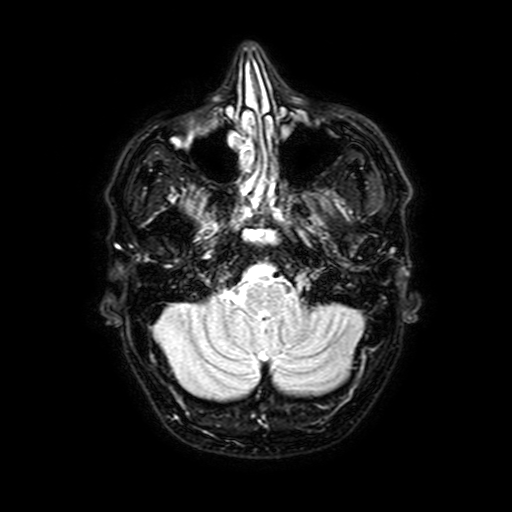
modality = 3 Tesla brain MRI; study = ring-enhancing brain masses.